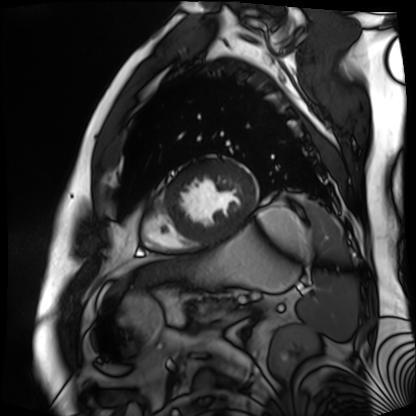
Q: What kind of scan is this?
A: Cardiac MR image of the myocardium.
Subject cohort: cardiac patient.